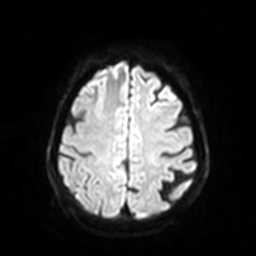
3 Tesla brain MRI. Series: diffusion-weighted imaging with SENSE (WIP). Study: ring-enhancing brain masses.